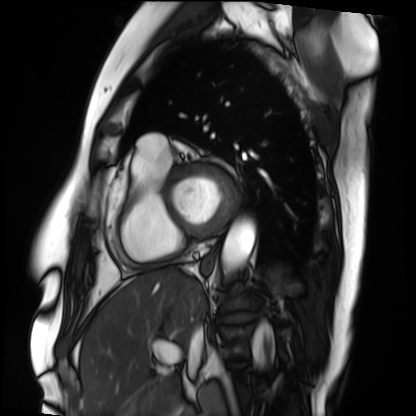
Cardiac MRI. Subject group: patient.